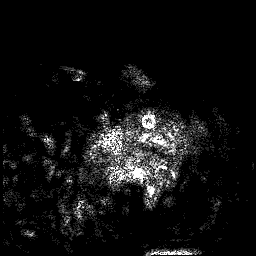
3 Tesla brain MRI. Series: 3D T1-weighted. Study: ring-enhancing brain masses.